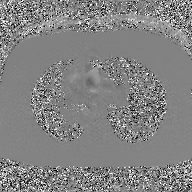
Case summary: 2D phase-contrast cine MRI of the ascending aorta, GAN super-resolution reconstruction.